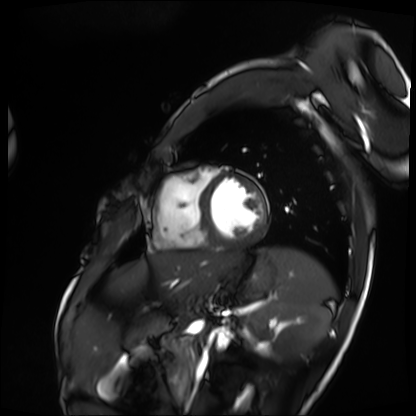
* modality — cardiac MRI
* subject group — patient